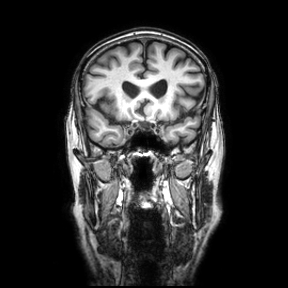
| field | value |
|---|---|
| modality | 3 Tesla brain MRI |
| series | coronal |
| study | ring-enhancing brain masses |